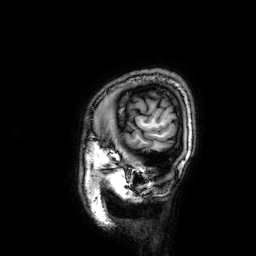
3 Tesla brain MRI. Series: 3D T1-weighted. Study: ring-enhancing brain masses.